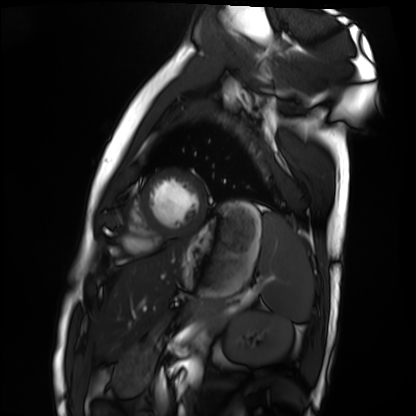
- modality · cardiac MRI
- subject group · healthy volunteer